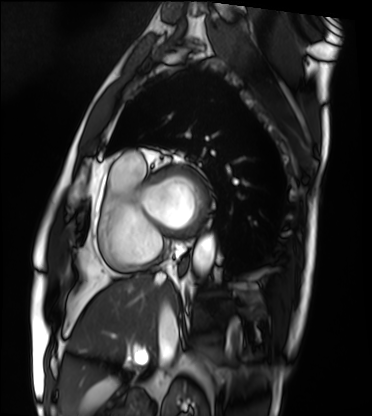
Cardiac MRI.
Subject group: patient.